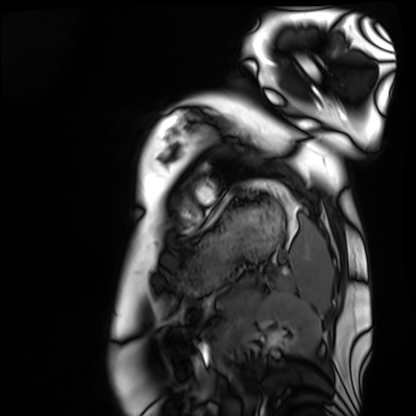
<study>
<modality>cardiac MRI</modality>
<cohort>healthy volunteer</cohort>
</study>